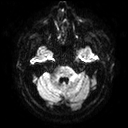
modality: 3 Tesla brain MRI
series: diffusion tensor imaging (medium iso)
study: ring-enhancing brain masses